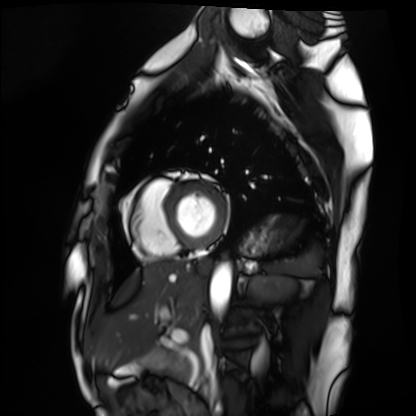
{"modality": "cardiac MRI", "cohort": "healthy volunteer"}